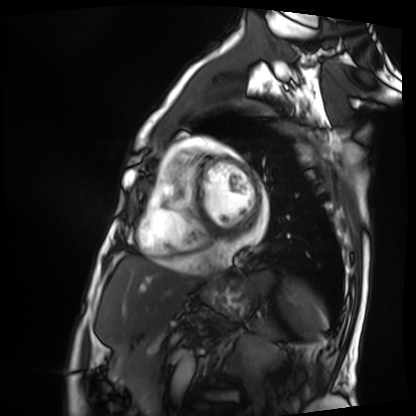
Cardiac MRI.
Subject group: patient.